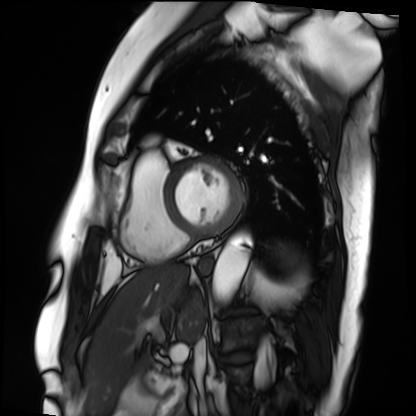
| field | value |
|---|---|
| modality | cardiac MRI |
| subject group | patient |